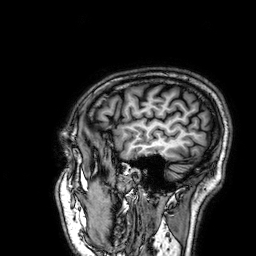
3 Tesla brain MRI.
Series: 3D T1-weighted.
Study: ring-enhancing brain masses.